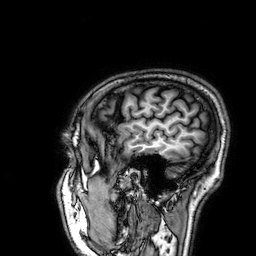
  modality:
    type: brain MRI
    field_strength: 3T
  series: 3D T1-weighted
  study_topic: ring-enhancing brain masses